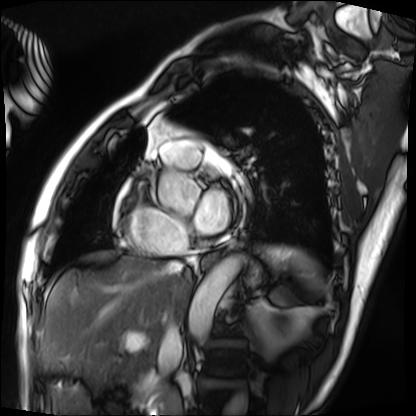
Cardiac MRI. Subject group: patient.